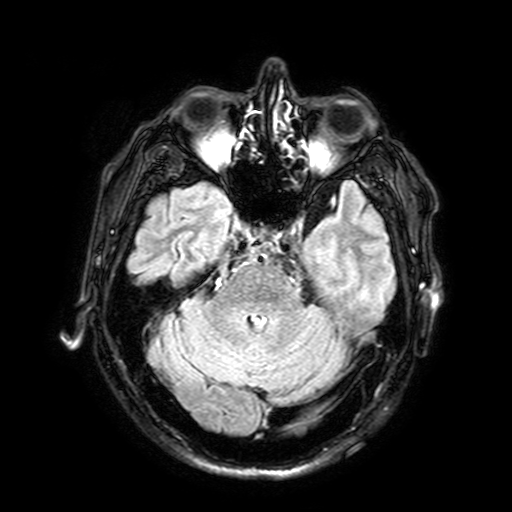
3 Tesla brain MRI.
Series: FLAIR with SPAIR, 3 mm.
Study: ring-enhancing brain masses.